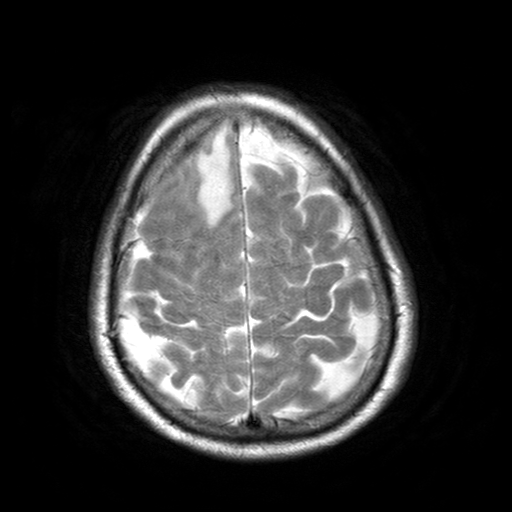
Summary: 3 Tesla brain MRI. Series: T2-weighted turbo spin echo with SENSE. Study: ring-enhancing brain masses.